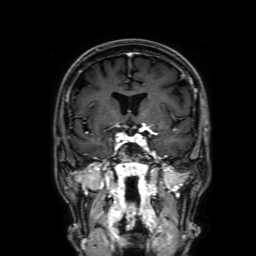
{
  "modality": {
    "type": "brain MRI",
    "field_strength": "3T"
  },
  "series": "3D T1-weighted with SENSE",
  "study_topic": "ring-enhancing brain masses"
}